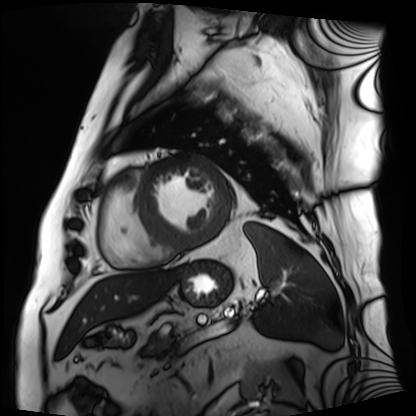
Q: What kind of scan is this?
A: Cardiac MRI.
Subject group: patient.